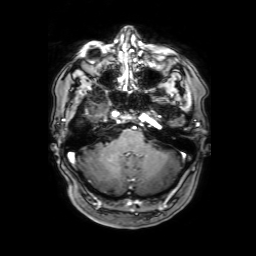
3 Tesla brain MRI.
Series: 3D T1-weighted with SENSE.
Study: ring-enhancing brain masses.